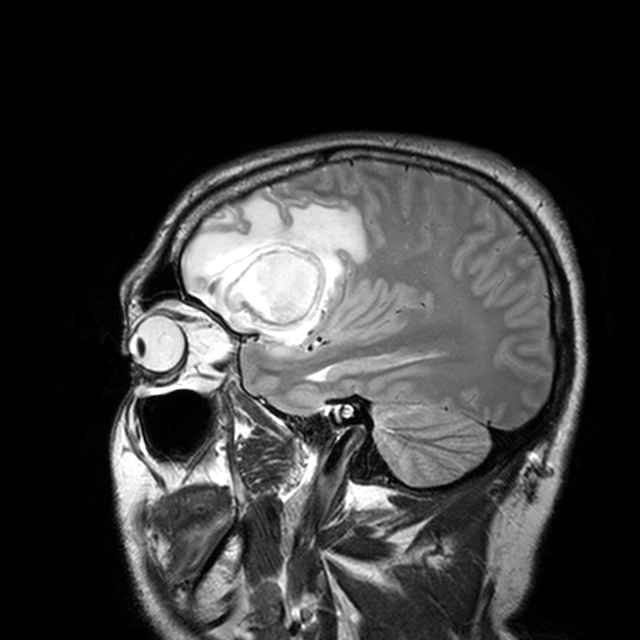
| field | value |
|---|---|
| modality | 3 Tesla brain MRI |
| series | T2-weighted turbo spin echo with CLEAR |
| study | ring-enhancing brain masses |